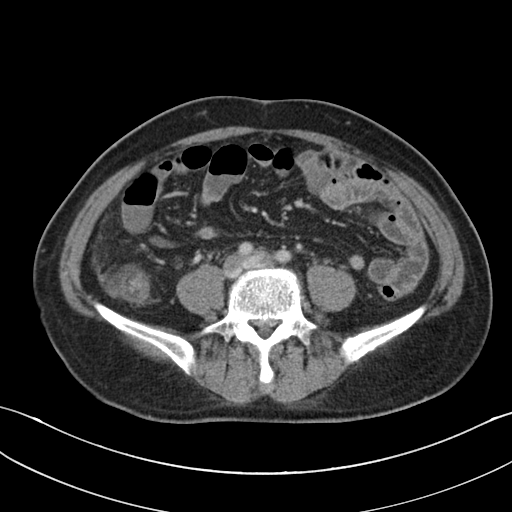
modality: multiphase abdominal CT, liver, portal venous phase; patient: male, age 50; history: cirrhosis, viral hepatitis.